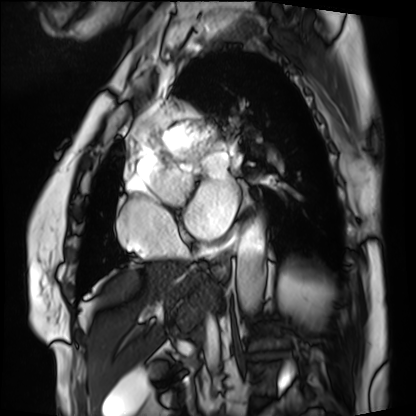
Cardiac MRI.
Subject group: patient.